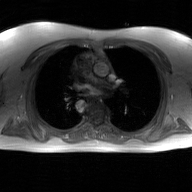
2D phase-contrast cine MRI of the ascending aorta, GAN super-resolution reconstruction.